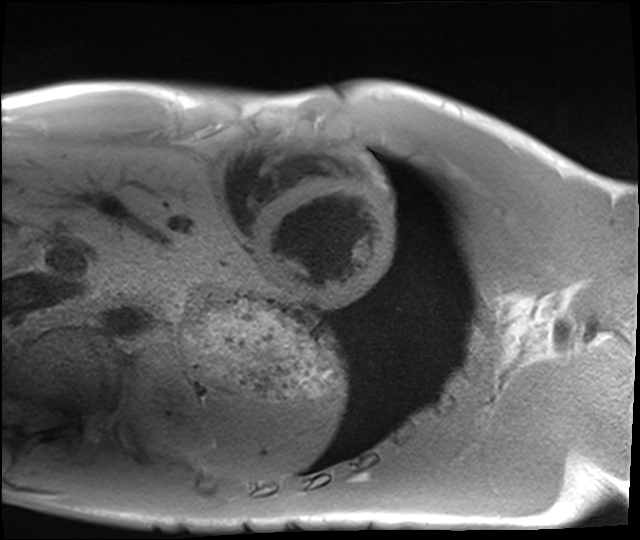
Cardiac MRI.
Subject group: healthy volunteer.